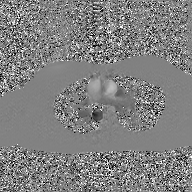
2D phase-contrast cine MRI of the ascending aorta, GAN super-resolution reconstruction.